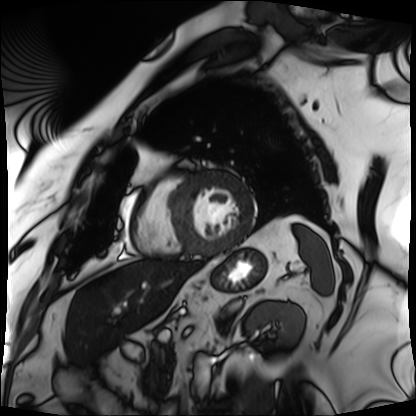
Q: What kind of scan is this?
A: Cardiac MRI.
Subject group: patient.